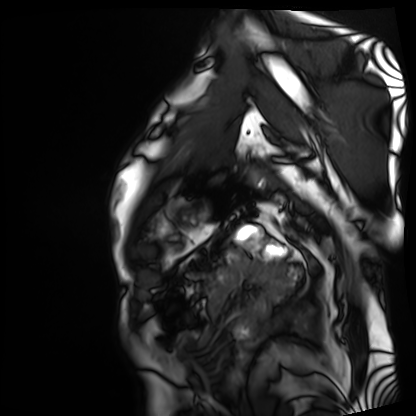
modality = cardiac MRI, subject group = patient.